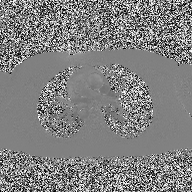
<case>
  <modality>
    <type>2D phase-contrast cine MRI</type>
    <region>ascending aorta</region>
    <reconstruction>high-resolution GRAPPA acquisition</reconstruction>
  </modality>
</case>